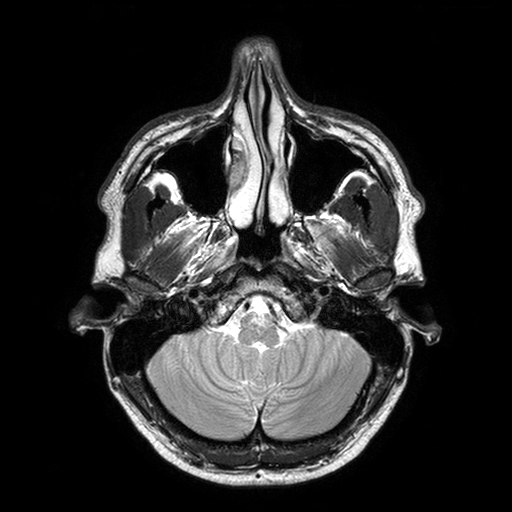
Clinical context: 3 Tesla brain MRI. Series: T2-weighted turbo spin echo with SENSE. Study: ring-enhancing brain masses.